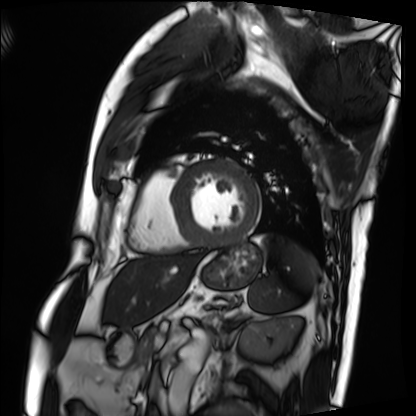
Q: What kind of scan is this?
A: Cardiac MRI.
Subject group: patient.